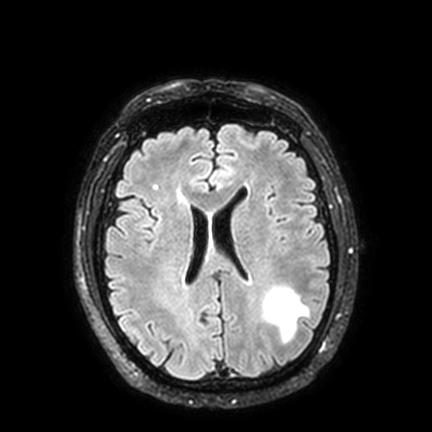
| field | value |
|---|---|
| modality | 3 Tesla brain MRI |
| series | FLAIR VISTA with SENSE |
| study | ring-enhancing brain masses |